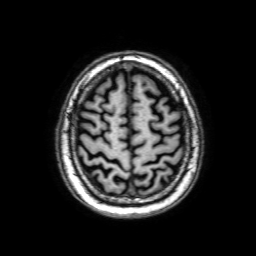
3 Tesla brain MRI. Series: 3D T1-weighted with SENSE. Study: ring-enhancing brain masses.